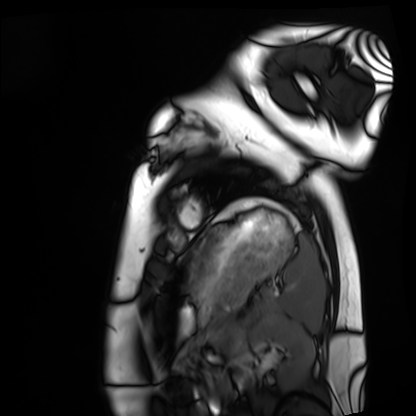
modality = cardiac MRI
subject group = healthy volunteer